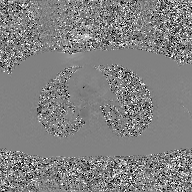
modality: 2D phase-contrast cine MRI of the ascending aorta, GAN super-resolution reconstruction.